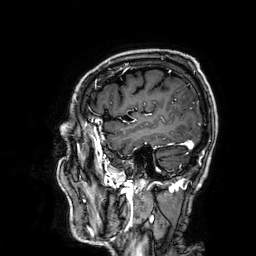
| field | value |
|---|---|
| modality | 3 Tesla brain MRI |
| series | 3D T1-weighted |
| study | ring-enhancing brain masses |